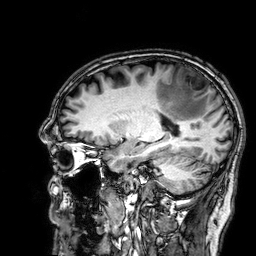
modality = 3 Tesla brain MRI; series = 3D T1-weighted; study = ring-enhancing brain masses.